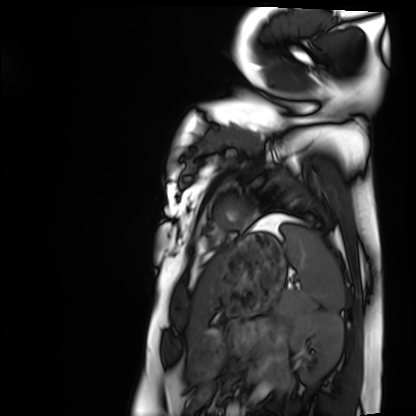
Cardiac MRI. Subject group: healthy volunteer.